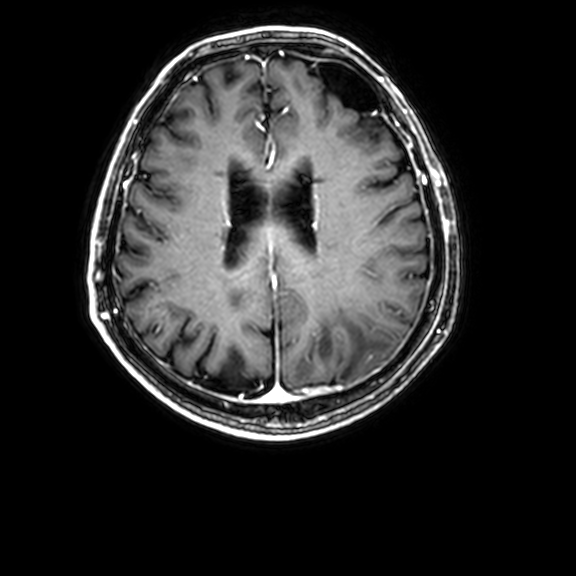
modality:
  type: brain MRI
  field_strength: 3T
series: 3D T1-weighted with CLEAR
study_topic: ring-enhancing brain masses